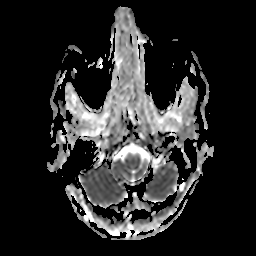
modality = 3 Tesla brain MRI
series = apparent diffusion coefficient (ADC) map
study = ring-enhancing brain masses